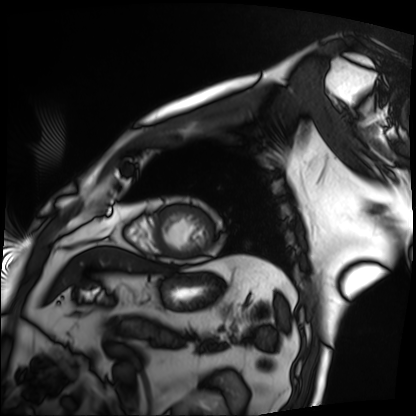
Cardiac MRI. Subject group: patient.